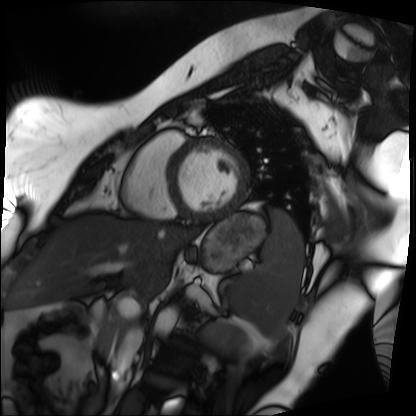
Q: What kind of scan is this?
A: Cardiac MRI.
Subject group: patient.